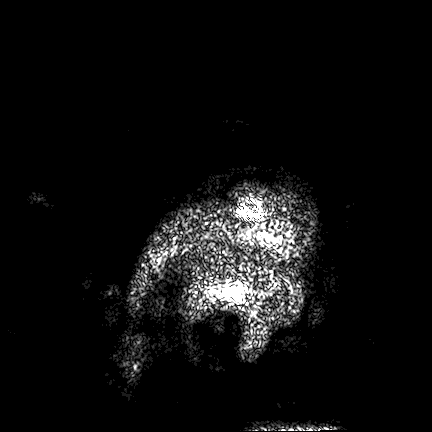
3 Tesla brain MRI. Study: ring-enhancing brain masses.